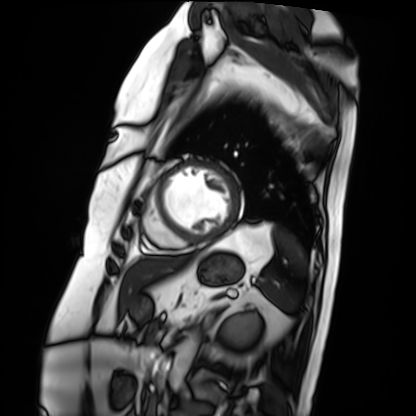
Cardiac MRI.
Subject group: patient.